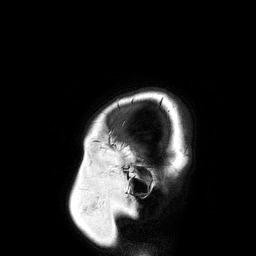
3 Tesla brain MRI.
Series: 3D T1-weighted turbo field echo.
Study: ring-enhancing brain masses.